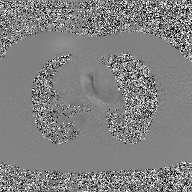
Summary: 2D phase-contrast cine MRI of the ascending aorta, GAN super-resolution reconstruction.